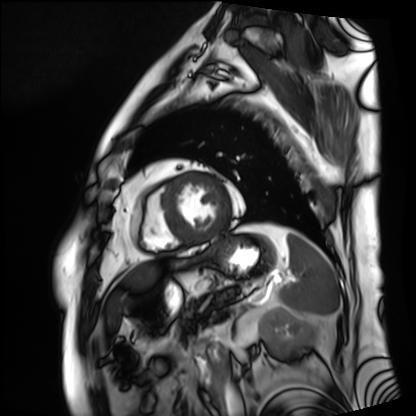
modality — cardiac MRI
subject group — patient